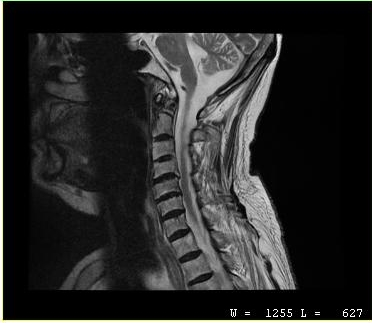
modality = MRI of the cervical spine; study = cervical spondylosis.